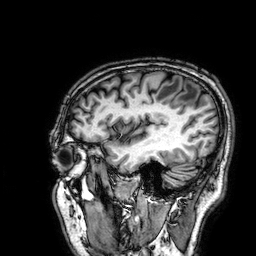
Summary:
3 Tesla brain MRI. Series: 3D T1-weighted. Study: ring-enhancing brain masses.